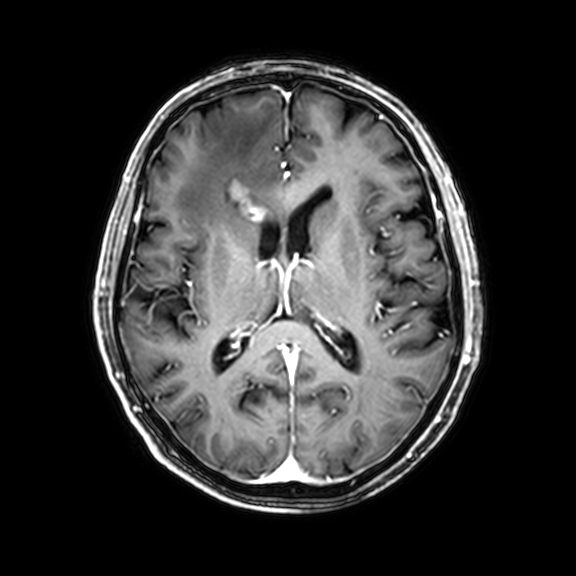
3 Tesla brain MRI. Series: 3D T1-weighted with CLEAR. Study: ring-enhancing brain masses.